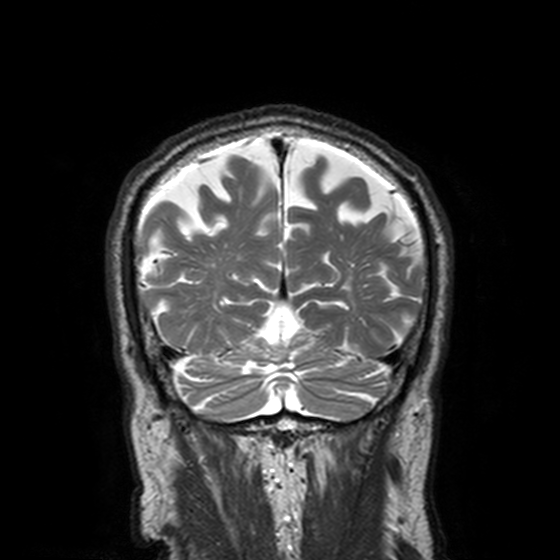
Summary: 3 Tesla brain MRI. Series: T2-weighted turbo spin echo, 3 mm. Study: ring-enhancing brain masses.